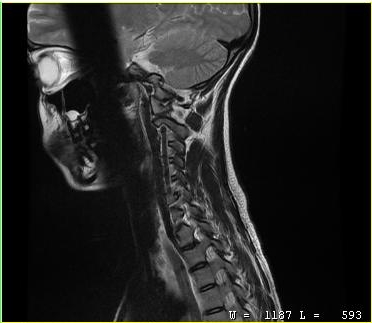
modality:
  type: cervical spine MRI
study_topic: cervical spondylosis